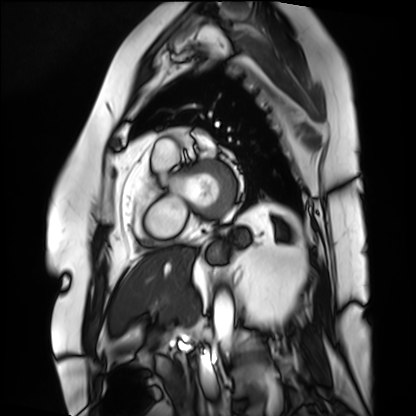
Q: What kind of scan is this?
A: Cardiac MRI.
Subject group: patient.